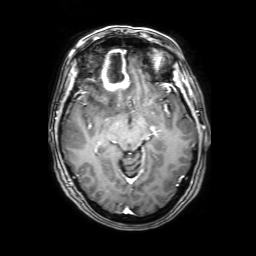
Q: What kind of scan is this?
A: 3 Tesla brain MRI.
Q: Series?
A: 3D T1-weighted with SENSE.
Study: ring-enhancing brain masses.